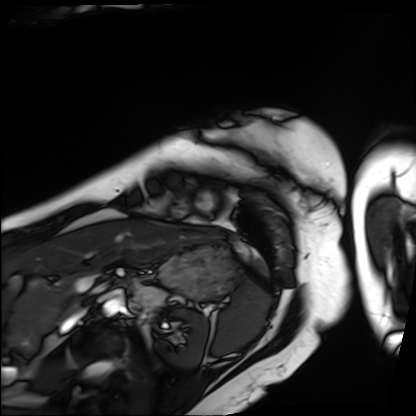
Clinical context: Cardiac MRI. Subject group: patient.